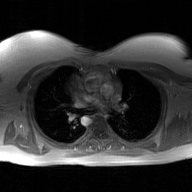
Summary:
2D phase-contrast cine MRI of the ascending aorta, GAN super-resolution reconstruction.